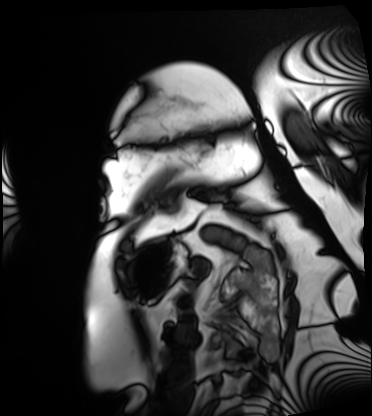
Cardiac MRI.
Subject group: patient.